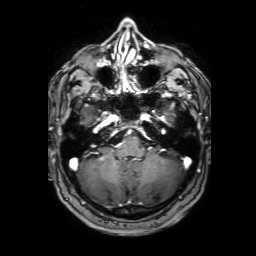
Q: What kind of scan is this?
A: 3 Tesla brain MRI.
Q: Series?
A: 3D T1-weighted with SENSE.
Study: ring-enhancing brain masses.